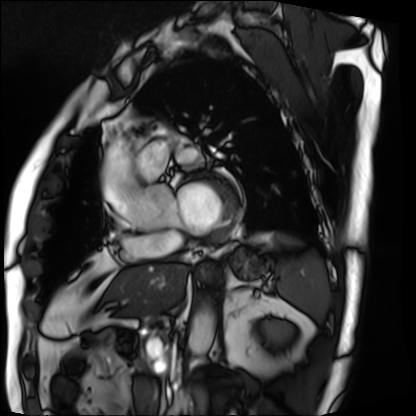
| field | value |
|---|---|
| modality | cardiac MRI |
| subject group | patient |